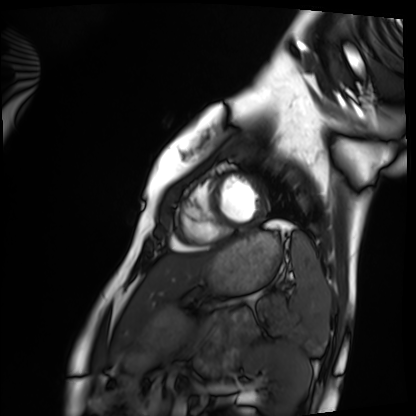
Cardiac MRI. Subject group: healthy volunteer.